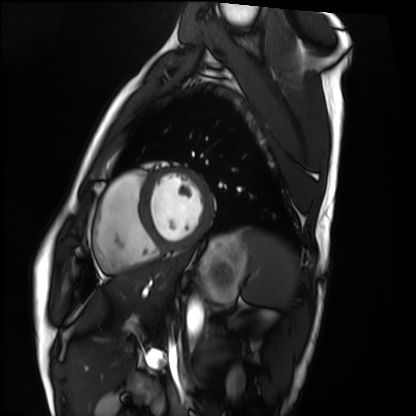
modality: cardiac MRI
cohort: healthy volunteer